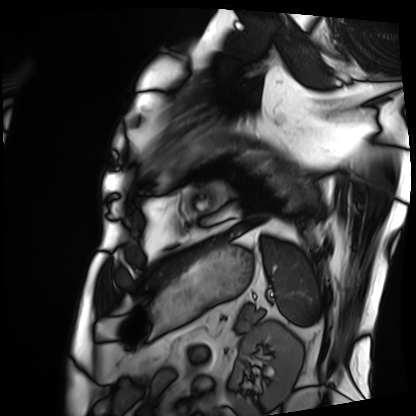
Cardiac MRI. Subject group: patient.